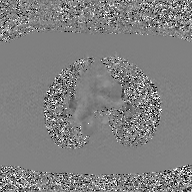
2D phase-contrast cine MRI of the ascending aorta, GAN super-resolution reconstruction.